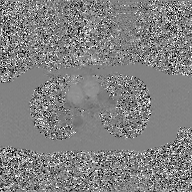
Clinical context:
2D phase-contrast cine MRI of the ascending aorta, GAN super-resolution reconstruction.